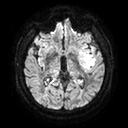
– modality: 3 Tesla brain MRI
– series: diffusion tensor imaging (medium iso)
– study: ring-enhancing brain masses